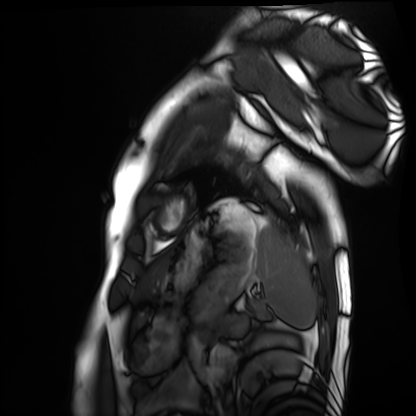
modality=cardiac MRI; subject group=healthy volunteer.